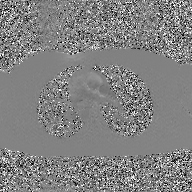
2D phase-contrast cine MRI of the ascending aorta, GAN super-resolution reconstruction.